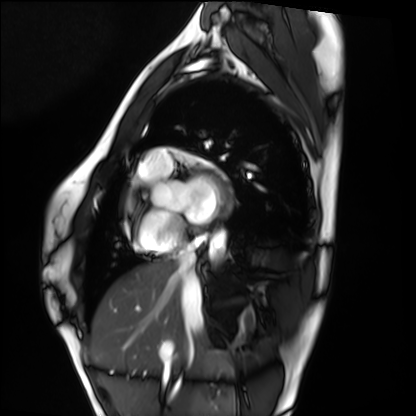
modality: cardiac MRI; subject group: healthy volunteer.